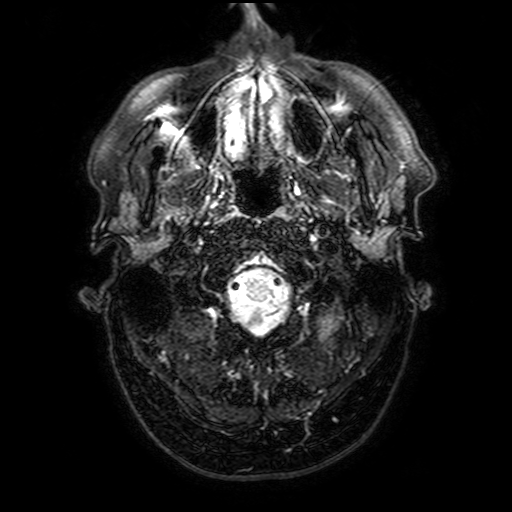
Case summary: 3 Tesla brain MRI. Series: FLAIR with SPAIR, 3 mm. Study: ring-enhancing brain masses.